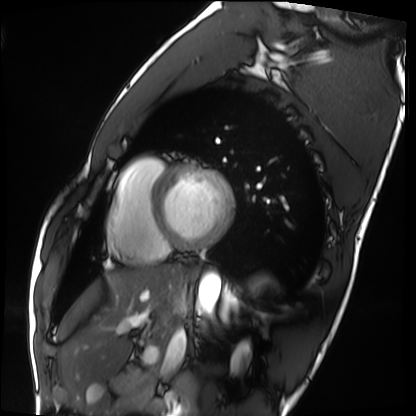
{"modality": "cardiac MRI", "cohort": "healthy volunteer"}